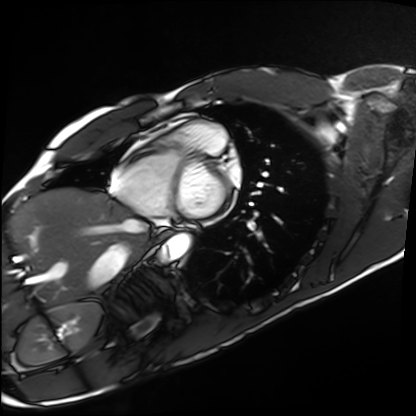
Case:
• modality — cardiac MRI
• subject group — healthy volunteer